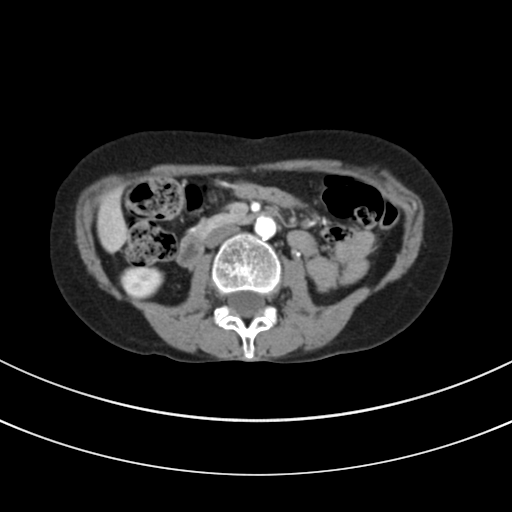
Multiphase abdominal CT, liver, arterial phase. Patient: female, age 44.